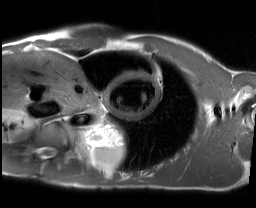
modality: cardiac MRI | subject group: healthy volunteer.